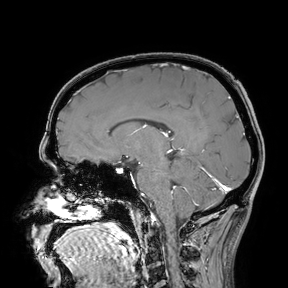
3 Tesla brain MRI. Study: ring-enhancing brain masses.